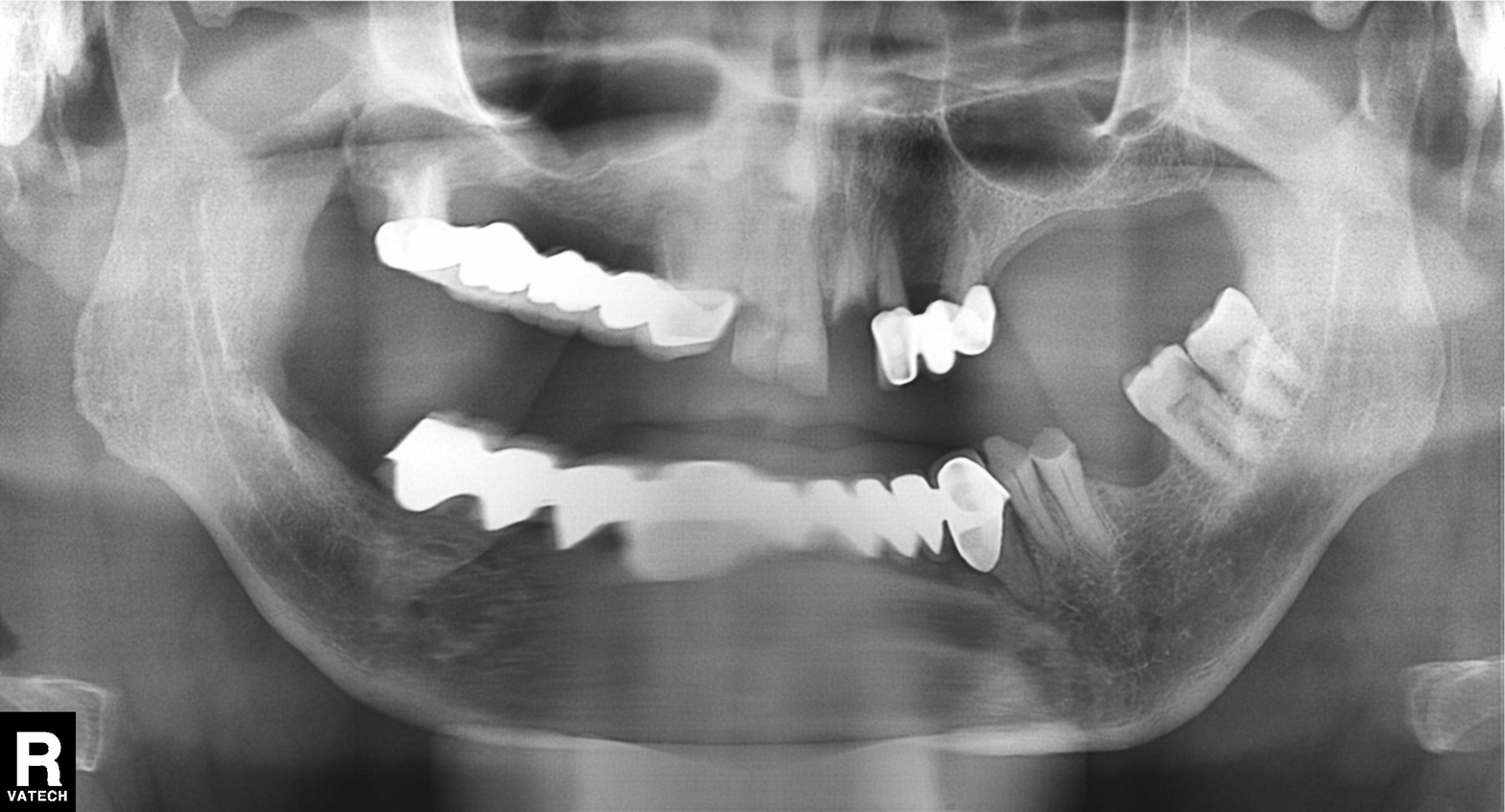
Q: What kind of scan is this?
A: Panoramic dental radiograph (orthopantomogram).
Q: What is the radiographic finding?
A: Dental caries (cavities).